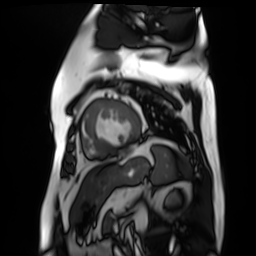
modality: cardiac MR image of the myocardium
subject cohort: cardiac patient